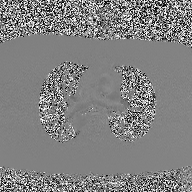
<study>
  <modality>
    <type>2D phase-contrast cine MRI</type>
    <region>ascending aorta</region>
    <reconstruction>high-resolution GRAPPA acquisition</reconstruction>
  </modality>
</study>